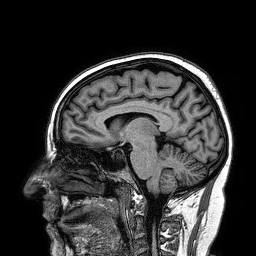
– modality — 3 Tesla brain MRI
– series — 3D T1-weighted turbo field echo
– study — ring-enhancing brain masses